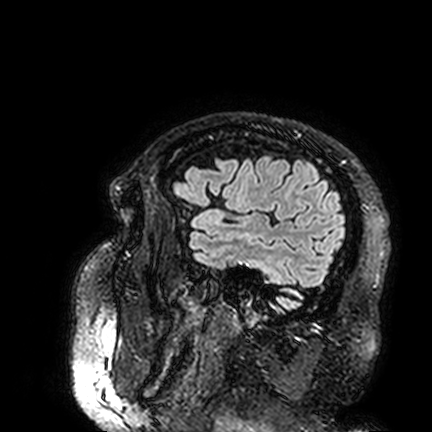
Case summary:
3 Tesla brain MRI. Series: FLAIR VISTA. Study: ring-enhancing brain masses.